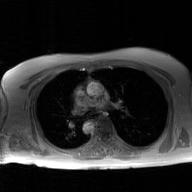
2D phase-contrast cine MRI of the ascending aorta, GAN super-resolution reconstruction.